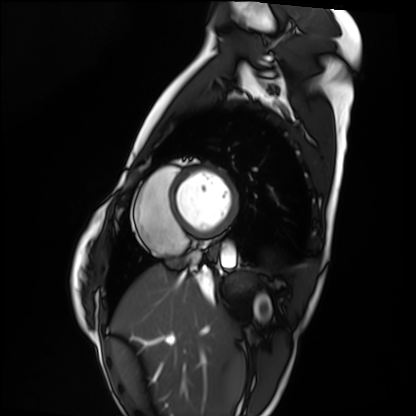
Summary: Cardiac MRI. Subject group: healthy volunteer.